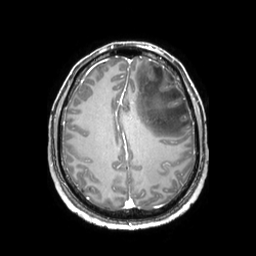
3 Tesla brain MRI. Series: 3D T1-weighted TFE with SENSE. Study: ring-enhancing brain masses.